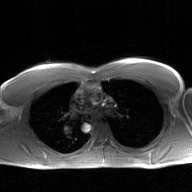
| field | value |
|---|---|
| modality | 2D phase-contrast cine MRI of the ascending aorta, GAN super-resolution reconstruction |